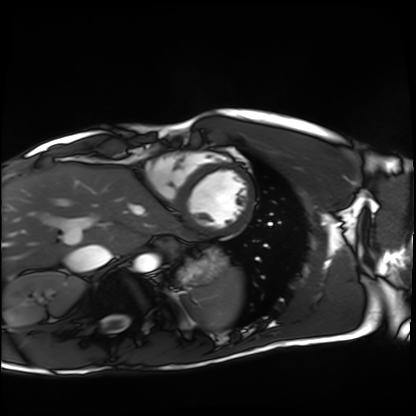
modality: cardiac MRI | subject group: healthy volunteer.